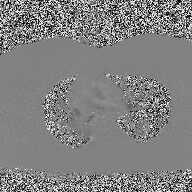
Case summary:
2D phase-contrast cine MRI of the ascending aorta, high-resolution GRAPPA acquisition.